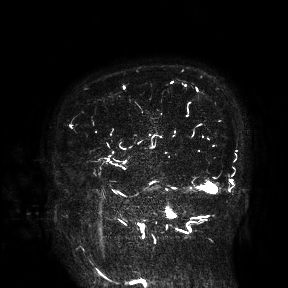
<record>
  <modality>
    <type>brain MRI</type>
    <field_strength>3T</field_strength>
  </modality>
  <study_topic>ring-enhancing brain masses</study_topic>
</record>